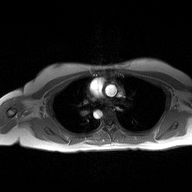
2D phase-contrast cine MRI of the ascending aorta, high-resolution GRAPPA acquisition.